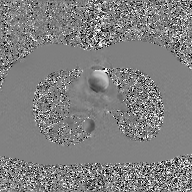
Clinical context:
2D phase-contrast cine MRI of the ascending aorta, GAN super-resolution reconstruction.